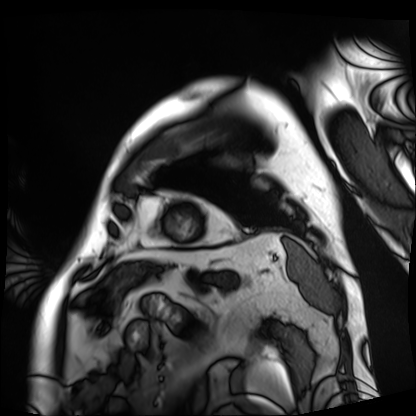
Cardiac MRI. Subject group: patient.